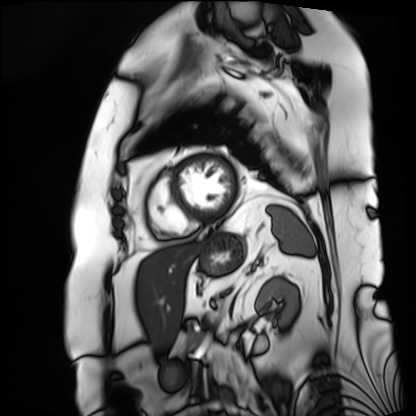
Case summary:
Cardiac MRI. Subject group: patient.